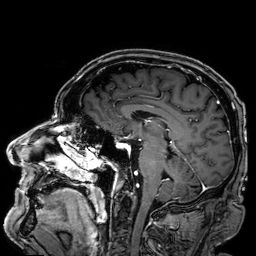
Case summary:
3 Tesla brain MRI. Series: 3D T1-weighted. Study: ring-enhancing brain masses.